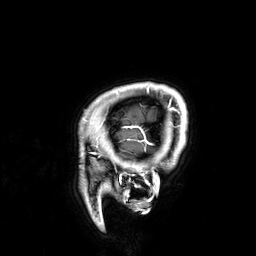
modality — 3 Tesla brain MRI | series — 3D T1-weighted | study — ring-enhancing brain masses.